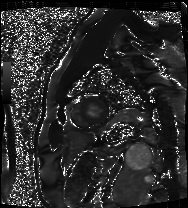
Cardiac MRI. Subject group: patient.